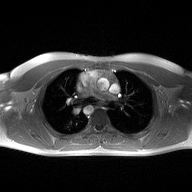
2D phase-contrast cine MRI of the ascending aorta, high-resolution GRAPPA acquisition.